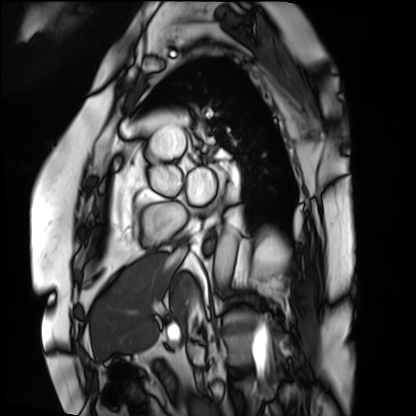
  modality: cardiac MRI
  cohort: patient